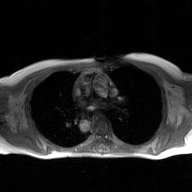
2D phase-contrast cine MRI of the ascending aorta, GAN super-resolution reconstruction.